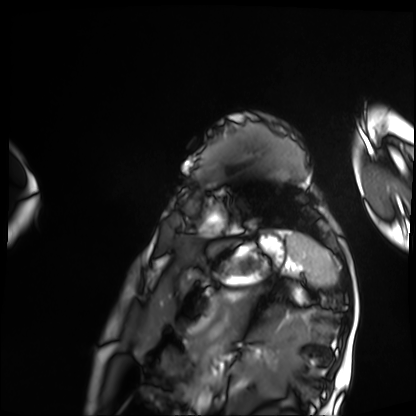
Cardiac MRI. Subject group: patient.